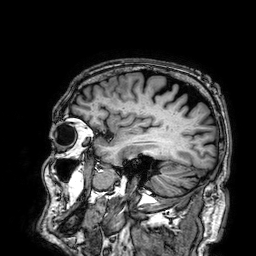
{"modality": {"type": "brain MRI", "field_strength": "3T"}, "series": "3D T1-weighted", "study_topic": "ring-enhancing brain masses"}